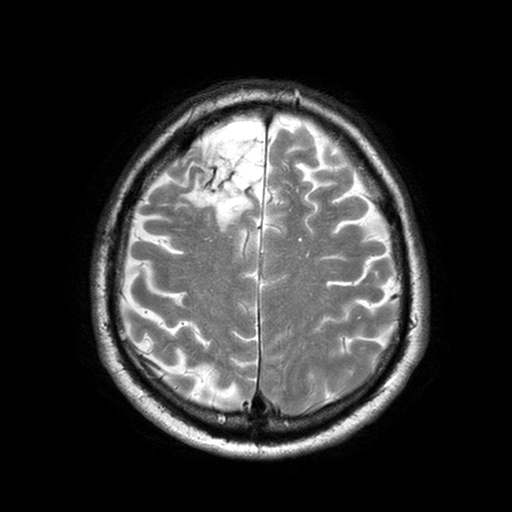
{"modality": {"type": "brain MRI", "field_strength": "3T"}, "study_topic": "ring-enhancing brain masses"}